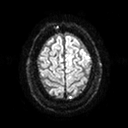
modality: 3 Tesla brain MRI | series: diffusion tensor imaging (medium iso) | study: ring-enhancing brain masses.